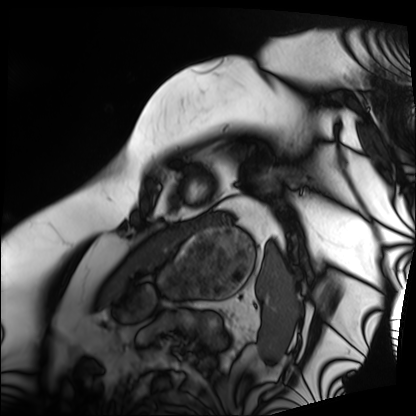
Cardiac MRI. Subject group: patient.